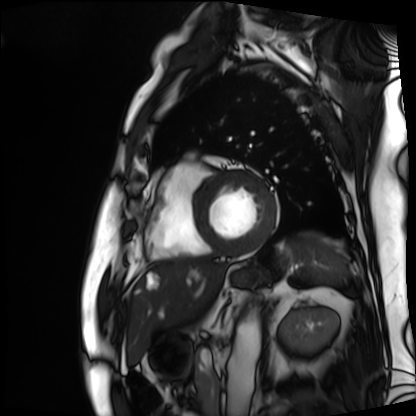
modality=cardiac MRI
subject group=patient